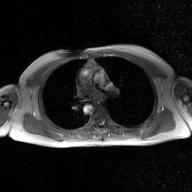
<case>
  <modality>
    <type>2D phase-contrast cine MRI</type>
    <region>ascending aorta</region>
    <reconstruction>GAN super-resolution reconstruction</reconstruction>
  </modality>
</case>